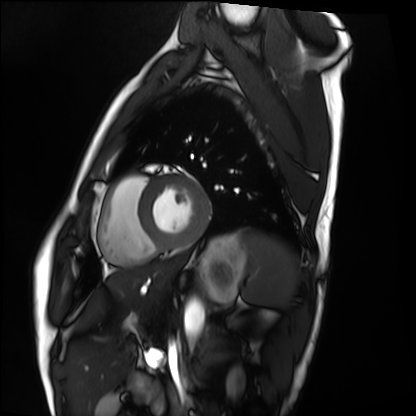
Cardiac MRI.
Subject group: healthy volunteer.